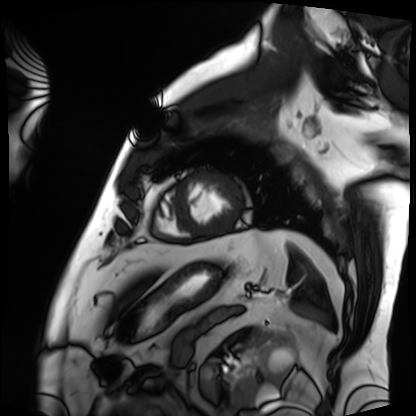
Cardiac MRI. Subject group: patient.